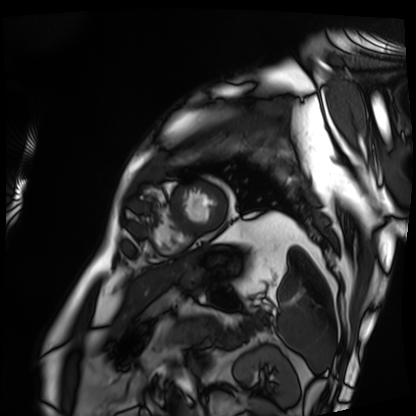
Cardiac MRI.
Subject group: patient.